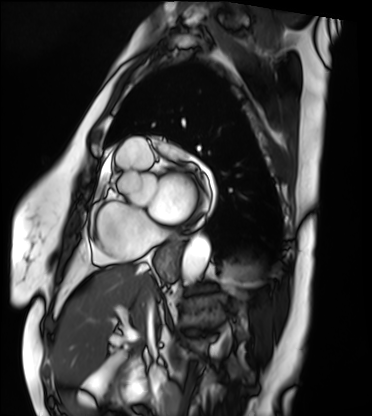
{"modality": "cardiac MRI", "cohort": "patient"}